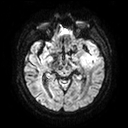
Q: What kind of scan is this?
A: 3 Tesla brain MRI.
Q: Series?
A: Diffusion tensor imaging (medium iso).
Study: ring-enhancing brain masses.